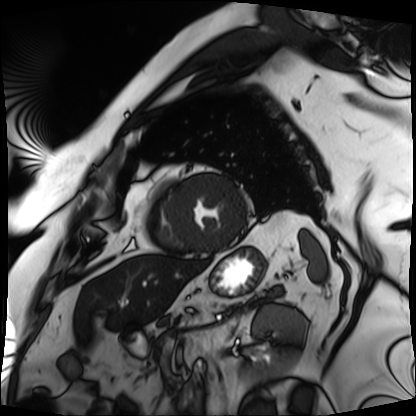
Summary:
Cardiac MRI. Subject group: patient.